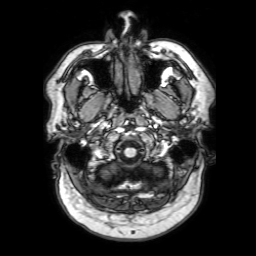
Summary: 3 Tesla brain MRI. Series: 3D T1-weighted with SENSE. Study: ring-enhancing brain masses.